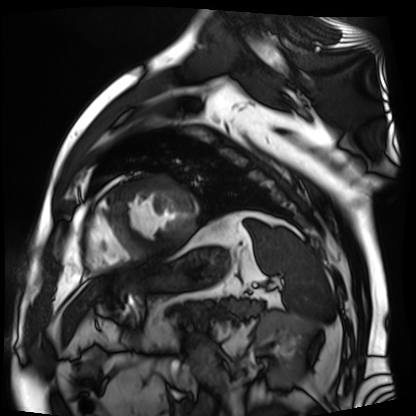
Case:
- modality: cardiac MR image of the myocardium
- subject cohort: cardiac patient